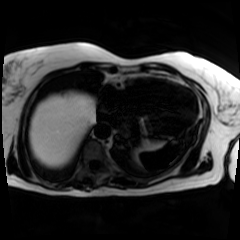
Chemical-shift-encoded cardiac MRI.